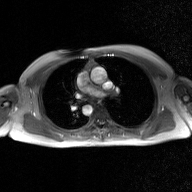
2D phase-contrast cine MRI of the ascending aorta, GAN super-resolution reconstruction.